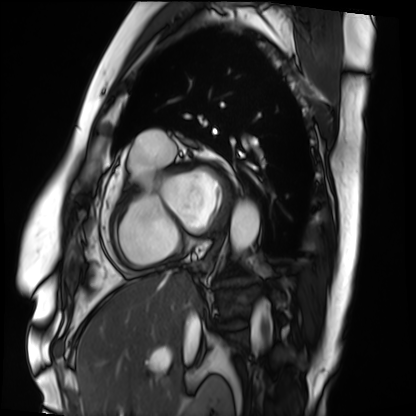
Case summary:
Cardiac MRI. Subject group: patient.